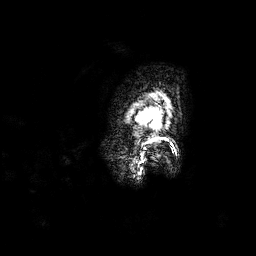
3 Tesla brain MRI.
Series: 3D T1-weighted.
Study: ring-enhancing brain masses.